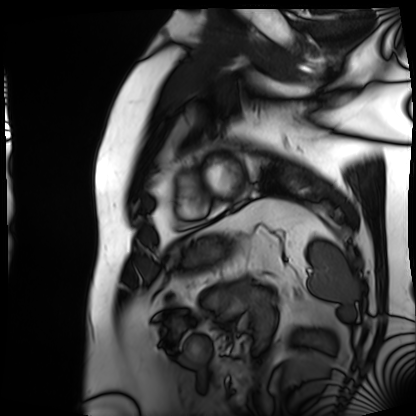
modality: cardiac MRI
cohort: patient